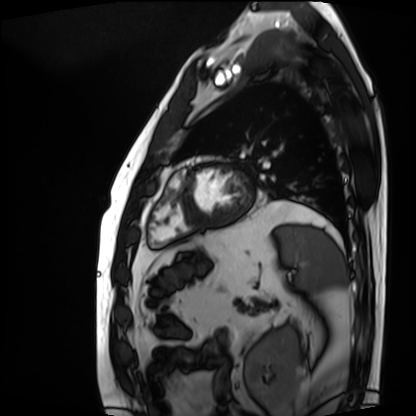
modality: cardiac MRI
subject group: patient